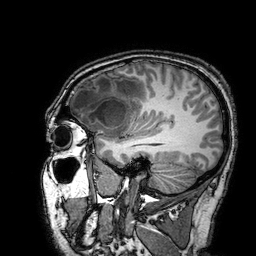
Q: What kind of scan is this?
A: 3 Tesla brain MRI.
Q: Series?
A: 3D T1-weighted turbo field echo with SENSE.
Study: ring-enhancing brain masses.